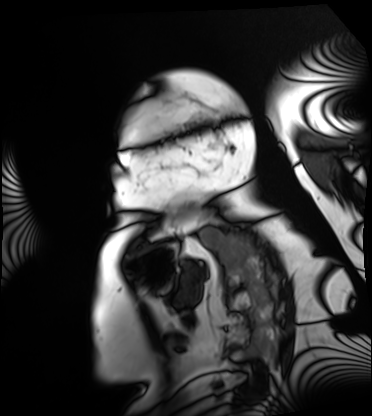
Cardiac MRI.
Subject group: patient.